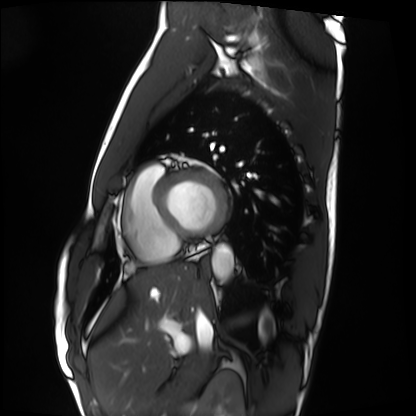
Cardiac MRI.
Subject group: healthy volunteer.